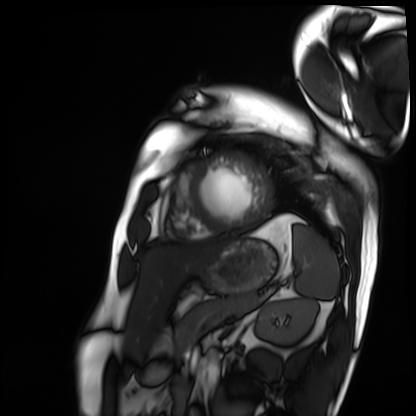
Case summary: Cardiac MRI. Subject group: patient.